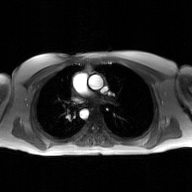
2D phase-contrast cine MRI of the ascending aorta, GAN super-resolution reconstruction.